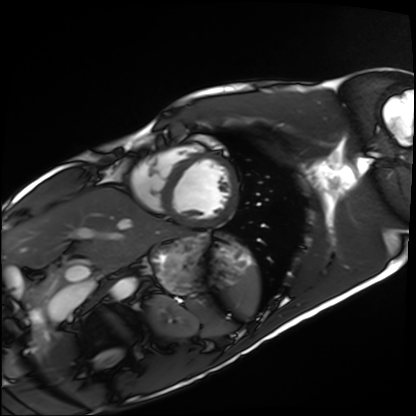
Clinical context: Cardiac MRI. Subject group: healthy volunteer.